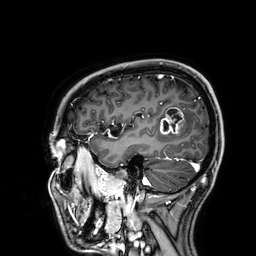
| field | value |
|---|---|
| modality | 3 Tesla brain MRI |
| series | 3D T1-weighted |
| study | ring-enhancing brain masses |